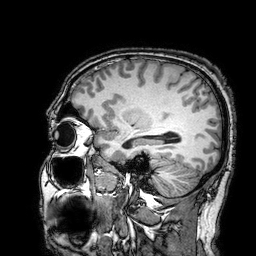
| field | value |
|---|---|
| modality | 3 Tesla brain MRI |
| series | 3D T1-weighted turbo field echo with SENSE |
| study | ring-enhancing brain masses |